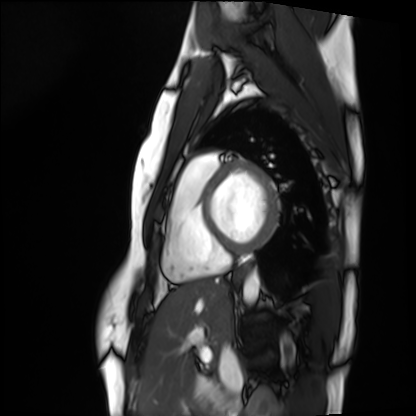
Q: What kind of scan is this?
A: Cardiac MRI.
Subject group: healthy volunteer.